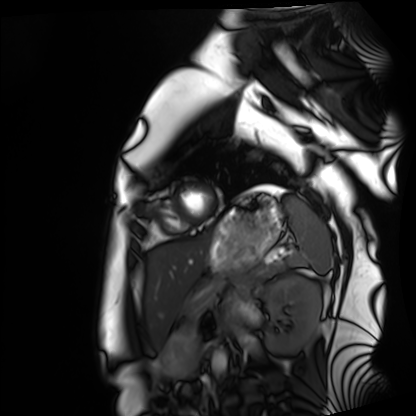
Summary:
Cardiac MRI. Subject group: healthy volunteer.